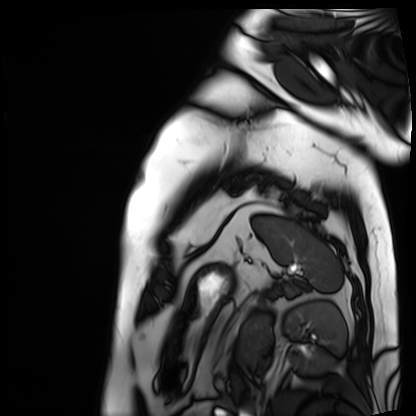
| field | value |
|---|---|
| modality | cardiac MRI |
| subject group | patient |